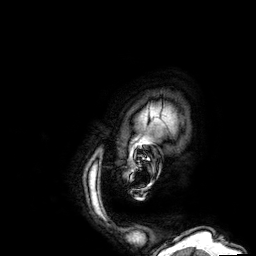
<study>
<modality>
  <type>brain MRI</type>
  <field_strength>3T</field_strength>
</modality>
<series>3D T1-weighted</series>
<study_topic>ring-enhancing brain masses</study_topic>
</study>